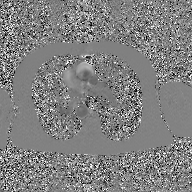
Case:
– modality: 2D phase-contrast cine MRI of the ascending aorta, GAN super-resolution reconstruction